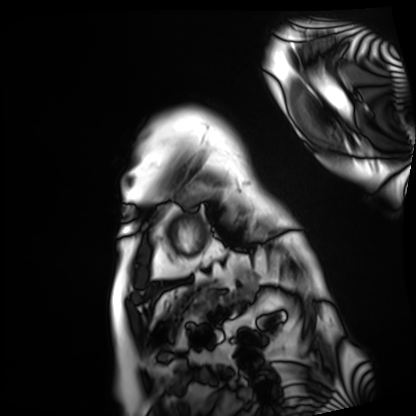
| field | value |
|---|---|
| modality | cardiac MRI |
| subject group | patient |